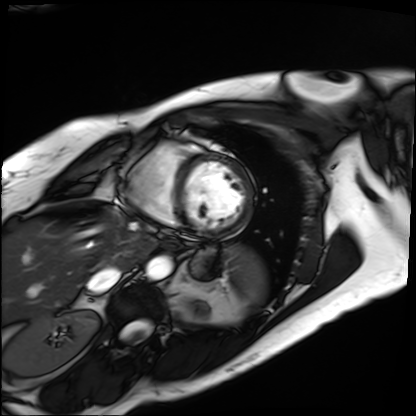
modality: cardiac MRI, subject group: patient.